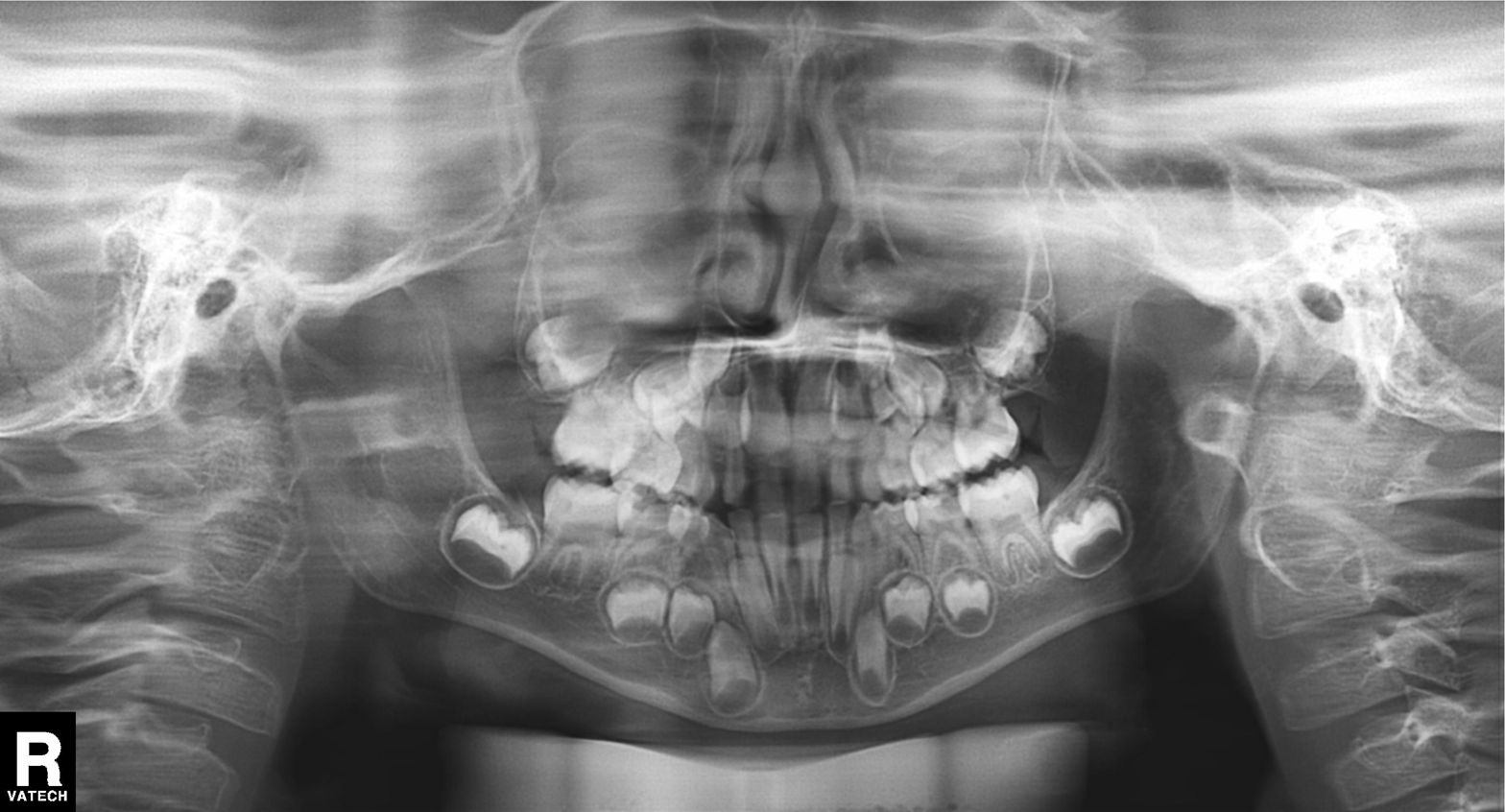
Panoramic dental radiograph (orthopantomogram).
Finding: alveolar bone loss.